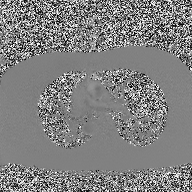
2D phase-contrast cine MRI of the ascending aorta, high-resolution GRAPPA acquisition.